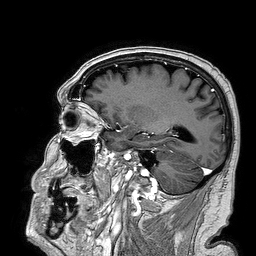
Summary: 3 Tesla brain MRI. Series: 3D T1-weighted turbo field echo. Study: ring-enhancing brain masses.